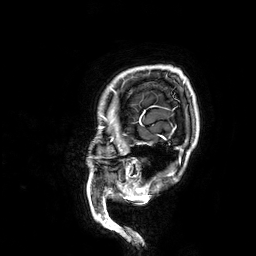
modality: 3 Tesla brain MRI | study: ring-enhancing brain masses.